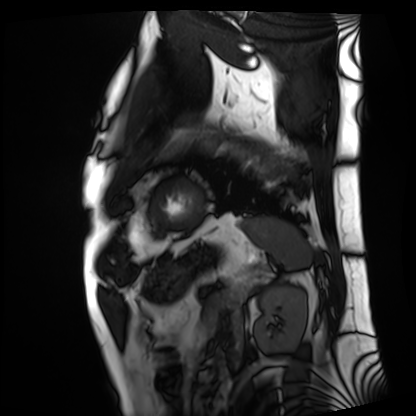
Summary:
Cardiac MRI. Subject group: patient.